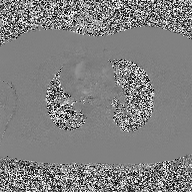
- modality: 2D phase-contrast cine MRI of the ascending aorta